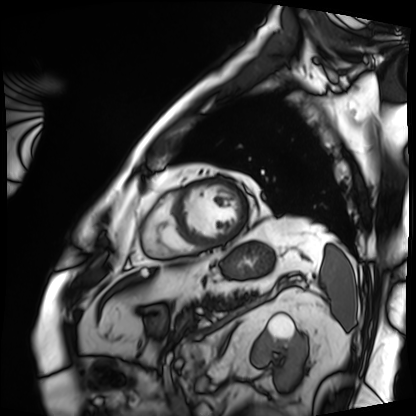
• modality — cardiac MRI
• subject group — patient